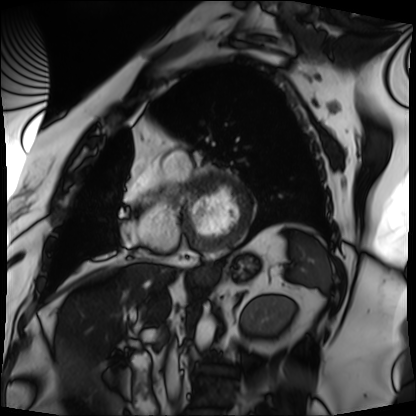
{
  "modality": "cardiac MRI",
  "cohort": "patient"
}